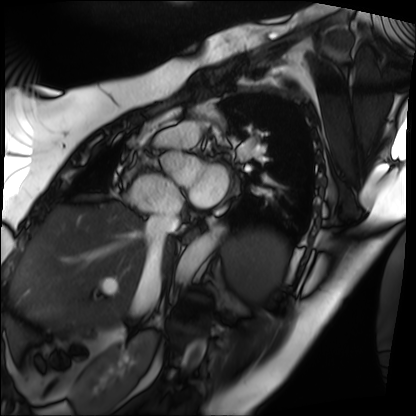
Summary: Cardiac MRI. Subject group: patient.